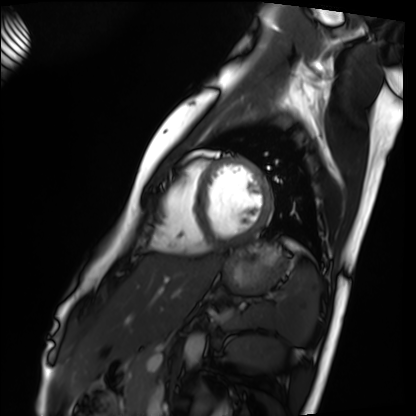
Case:
• modality: cardiac MRI
• subject group: healthy volunteer